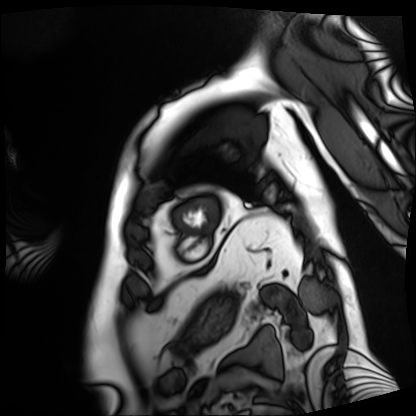
Cardiac MRI.
Subject group: patient.